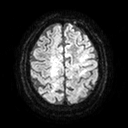
3 Tesla brain MRI.
Series: diffusion tensor imaging (medium iso).
Study: ring-enhancing brain masses.